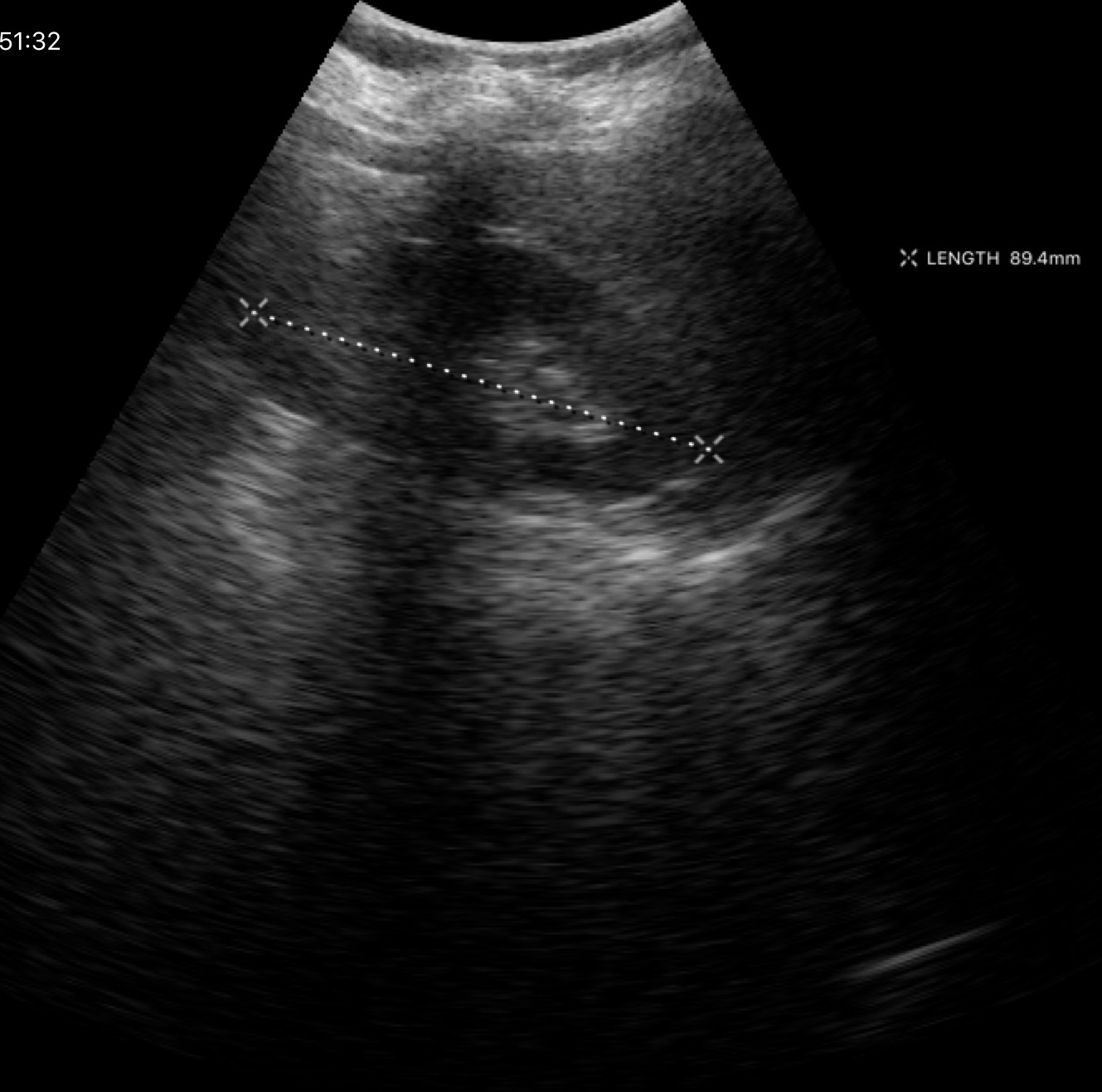
Genitourinary ultrasound.